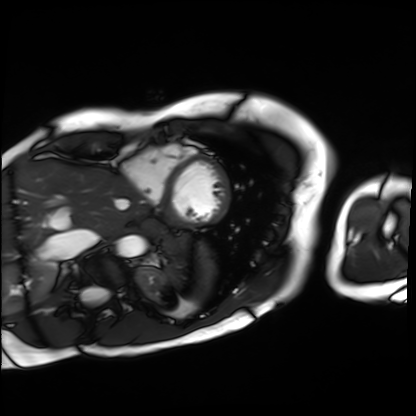
modality — cardiac MRI
subject group — patient